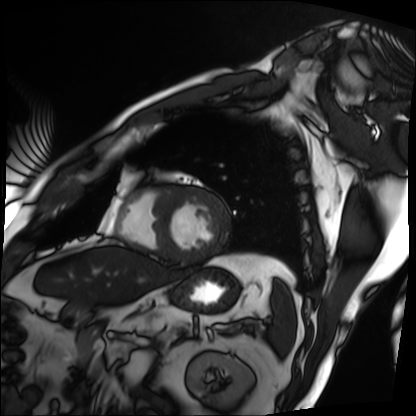
Case summary: Cardiac MRI. Subject group: patient.